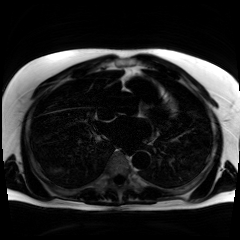
<record>
<modality>chemical-shift-encoded cardiac MRI</modality>
</record>